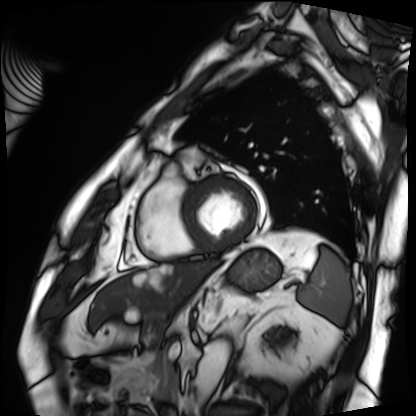
Cardiac MRI. Subject group: patient.